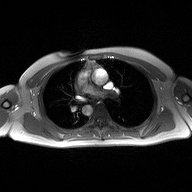
2D phase-contrast cine MRI of the ascending aorta, high-resolution GRAPPA acquisition.